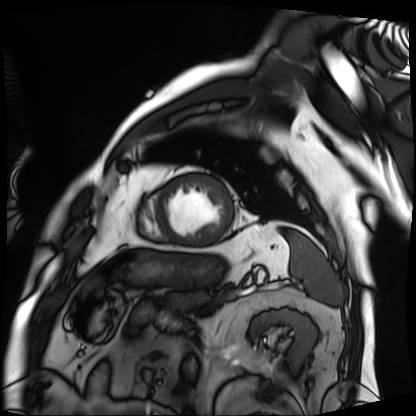
Cardiac MRI. Subject group: patient.